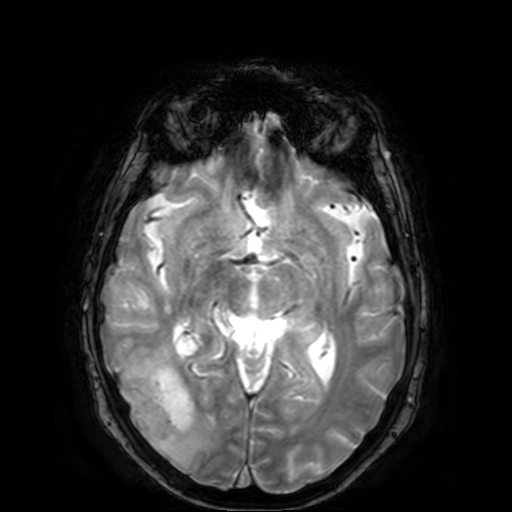
Summary:
3 Tesla brain MRI. Series: T2-weighted fast field echo. Study: ring-enhancing brain masses.